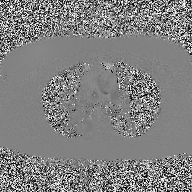
modality=2D phase-contrast cine MRI of the ascending aorta.